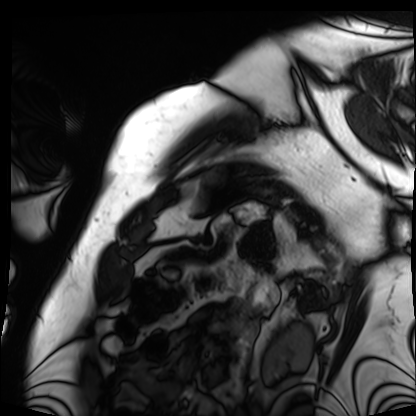
{
  "modality": "cardiac MRI",
  "cohort": "patient"
}